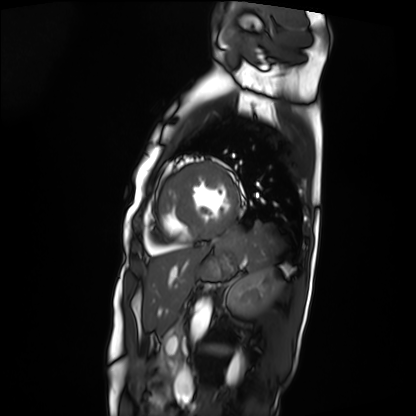
Q: What kind of scan is this?
A: Cardiac MRI.
Subject group: patient.